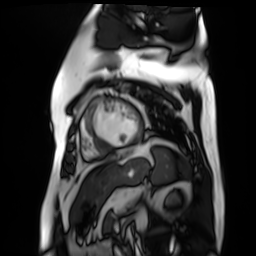
Q: What kind of scan is this?
A: Cardiac MR image of the myocardium.
Subject cohort: cardiac patient.